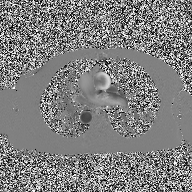
2D phase-contrast cine MRI of the ascending aorta, high-resolution GRAPPA acquisition.